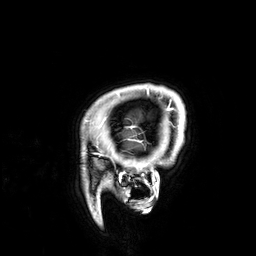
- modality: 3 Tesla brain MRI
- series: 3D T1-weighted
- study: ring-enhancing brain masses